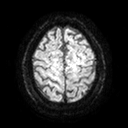
<study>
  <modality>
    <type>brain MRI</type>
    <field_strength>3T</field_strength>
  </modality>
  <series>diffusion tensor imaging (medium iso)</series>
  <study_topic>ring-enhancing brain masses</study_topic>
</study>